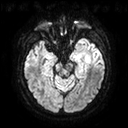
<scan>
<modality>
  <type>brain MRI</type>
  <field_strength>3T</field_strength>
</modality>
<series>diffusion tensor imaging (medium iso)</series>
<study_topic>ring-enhancing brain masses</study_topic>
</scan>